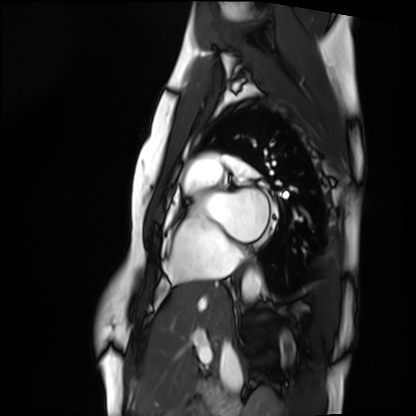
Case summary:
Cardiac MRI. Subject group: healthy volunteer.